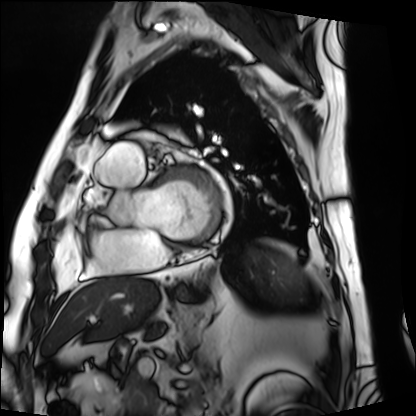
Cardiac MRI. Subject group: patient.